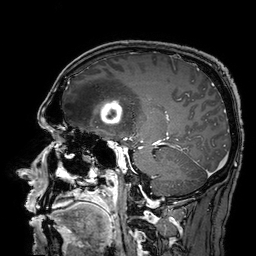
Case:
- modality · 3 Tesla brain MRI
- series · 3D T1-weighted turbo field echo with SENSE
- study · ring-enhancing brain masses